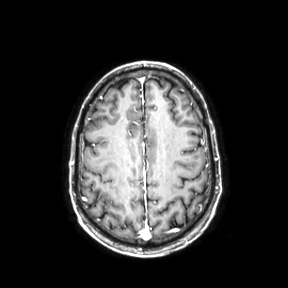
  modality:
    type: brain MRI
    field_strength: 3T
  series: axial
  study_topic: ring-enhancing brain masses